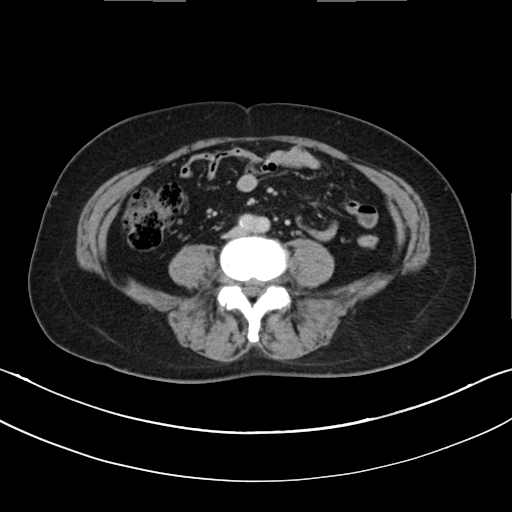
Multiphase abdominal CT, liver, delayed phase. Patient: female, age 63. History: prior chemotherapy.